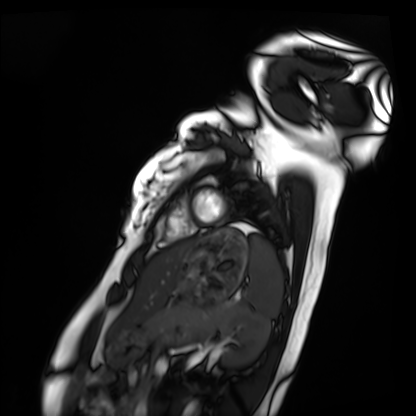
* modality — cardiac MRI
* subject group — healthy volunteer